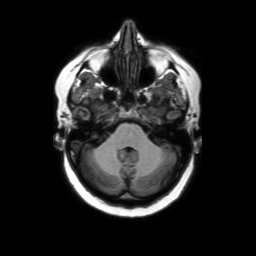
- modality · 3 Tesla brain MRI
- series · axial without contrast
- study · ring-enhancing brain masses